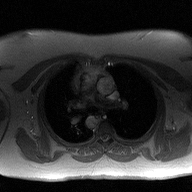
Q: What kind of scan is this?
A: 2D phase-contrast cine MRI of the ascending aorta.